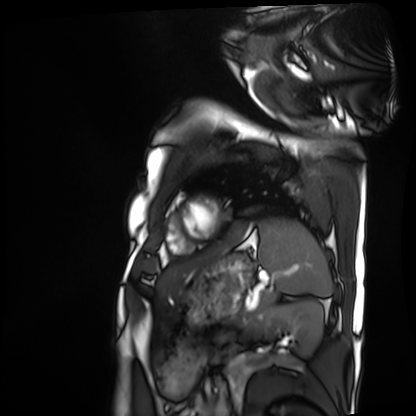
Q: What kind of scan is this?
A: Cardiac MRI.
Subject group: patient.